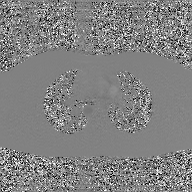
- modality: 2D phase-contrast cine MRI of the ascending aorta, GAN super-resolution reconstruction